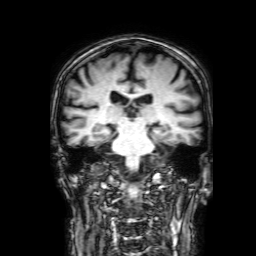
modality:
  type: brain MRI
  field_strength: 3T
series: 3D T1-weighted with SENSE
study_topic: ring-enhancing brain masses